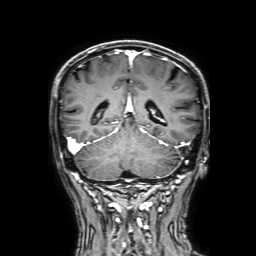
3 Tesla brain MRI. Series: 3D T1-weighted with SENSE. Study: ring-enhancing brain masses.